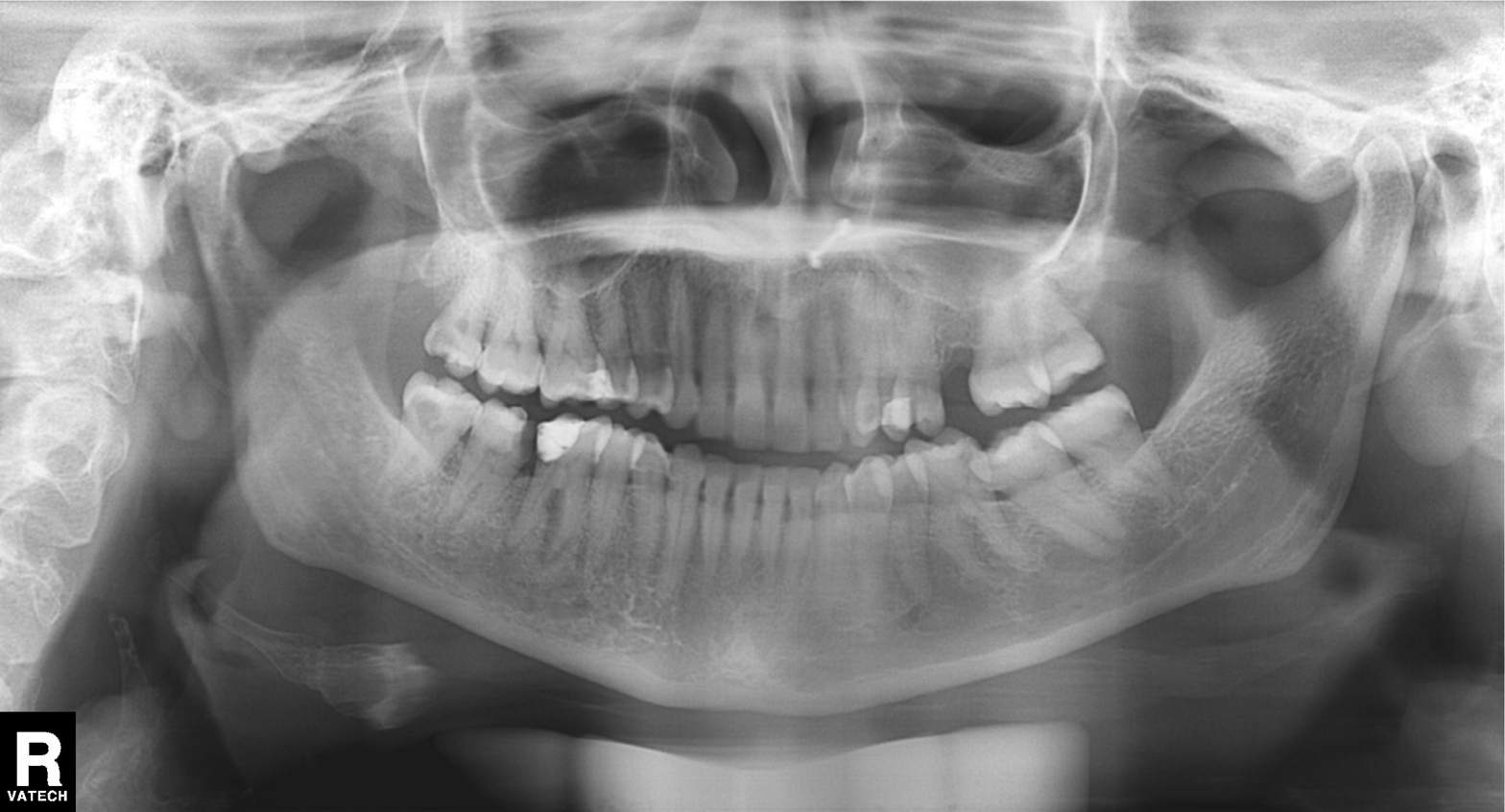
modality: panoramic dental radiograph (orthopantomogram)
finding: tooth impaction